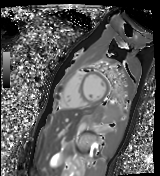
<record>
<modality>cardiac MR image of the myocardium</modality>
<cohort>healthy volunteer</cohort>
</record>